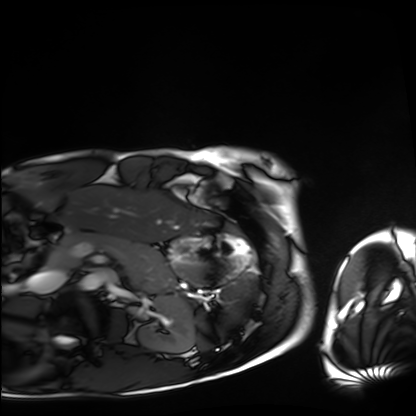
Summary: Cardiac MRI. Subject group: healthy volunteer.